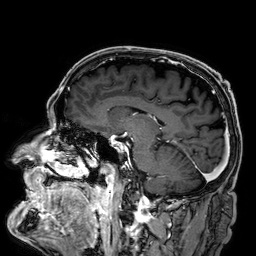
* modality · 3 Tesla brain MRI
* series · 3D T1-weighted
* study · ring-enhancing brain masses